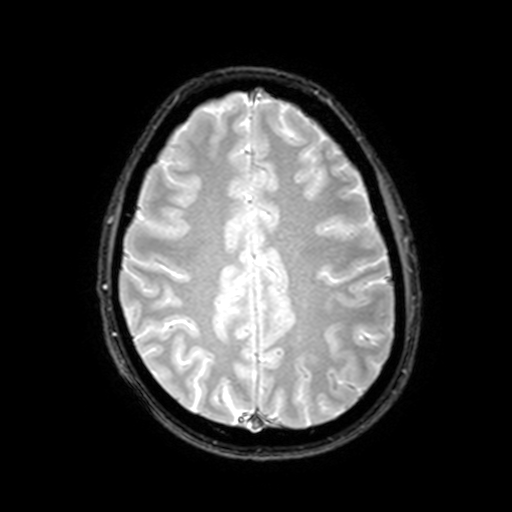
Summary: 3 Tesla brain MRI. Series: T2-weighted fast field echo with SENSE. Study: ring-enhancing brain masses.